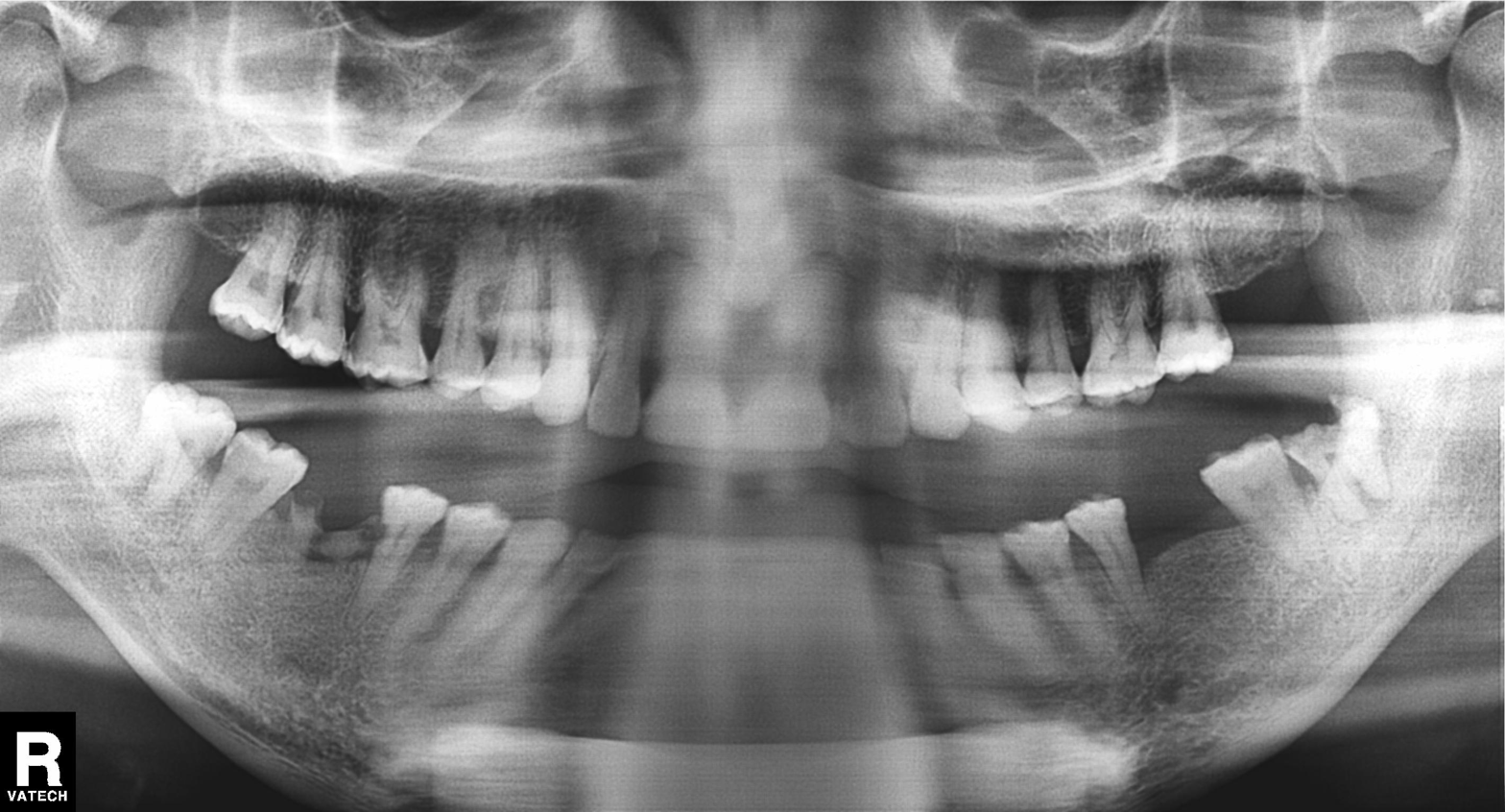
Q: What kind of scan is this?
A: Panoramic dental radiograph (orthopantomogram).
Q: What is the radiographic finding?
A: Tooth impaction.